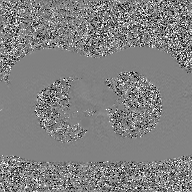
Summary:
2D phase-contrast cine MRI of the ascending aorta, GAN super-resolution reconstruction.